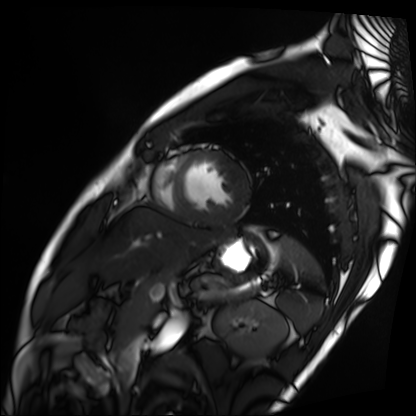
• modality — cardiac MRI
• subject group — patient